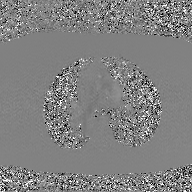
2D phase-contrast cine MRI of the ascending aorta, GAN super-resolution reconstruction.